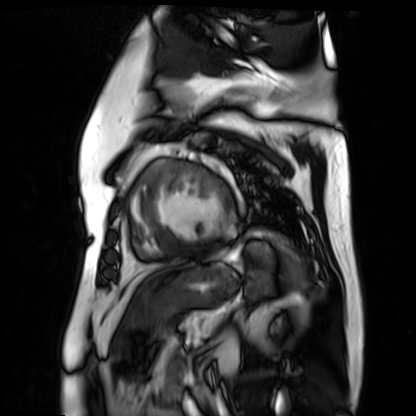
<scan>
  <modality>cardiac MR image of the myocardium</modality>
  <cohort>cardiac patient</cohort>
</scan>